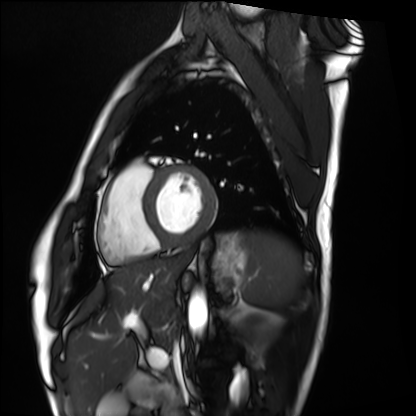
modality=cardiac MRI; subject group=healthy volunteer.